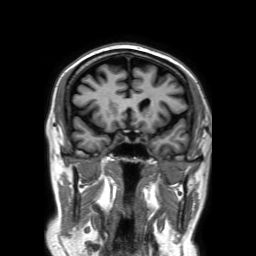
Case summary:
3 Tesla brain MRI. Series: 3D T1-weighted TFE with SENSE. Study: ring-enhancing brain masses.